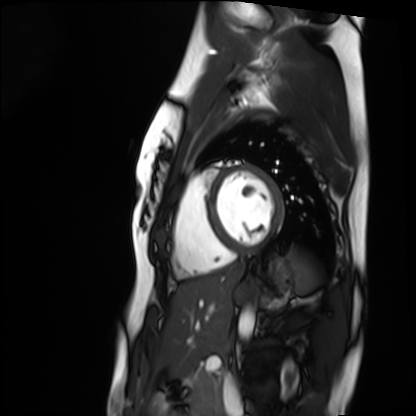
{
  "modality": "cardiac MRI",
  "cohort": "healthy volunteer"
}